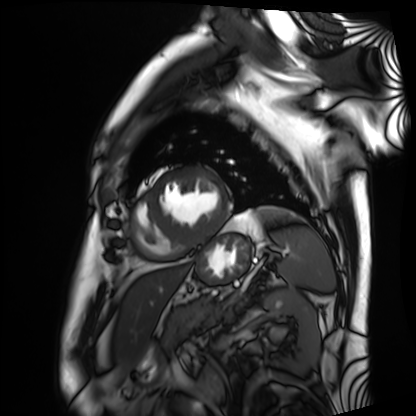
Cardiac MRI.
Subject group: patient.